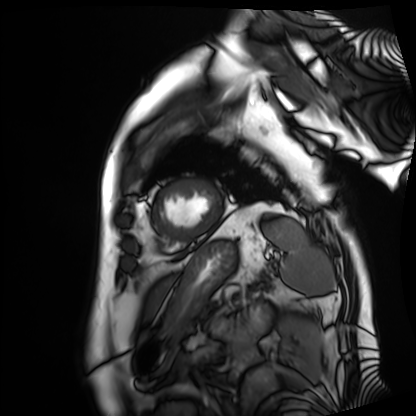
modality: cardiac MRI | subject group: patient.